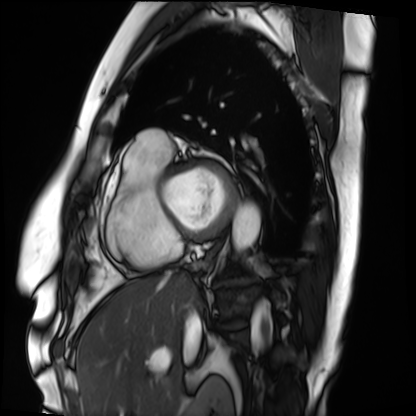
<study>
<modality>cardiac MRI</modality>
<cohort>patient</cohort>
</study>